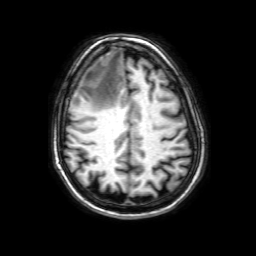
3 Tesla brain MRI. Series: 3D T1-weighted with SENSE. Study: ring-enhancing brain masses.